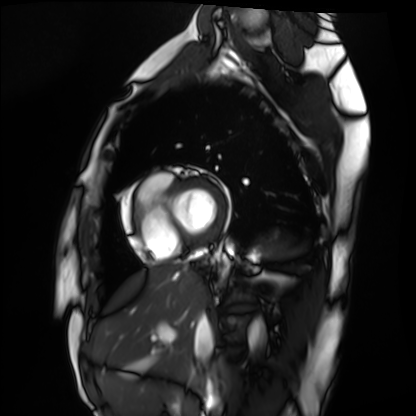
Cardiac MRI. Subject group: healthy volunteer.